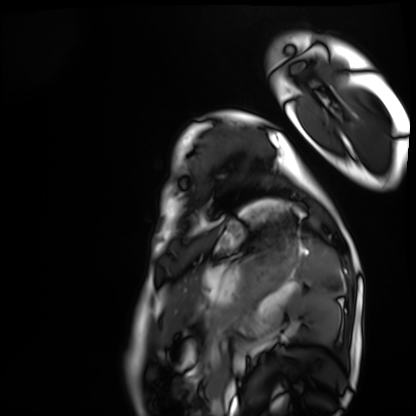
Q: What kind of scan is this?
A: Cardiac MRI.
Subject group: healthy volunteer.